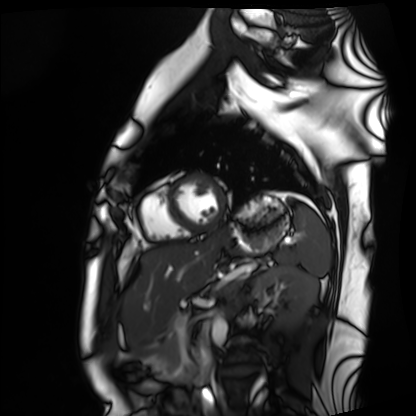
<case>
<modality>cardiac MRI</modality>
<cohort>healthy volunteer</cohort>
</case>